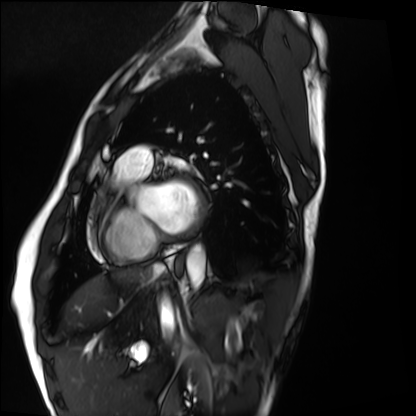
modality = cardiac MRI, subject group = healthy volunteer.